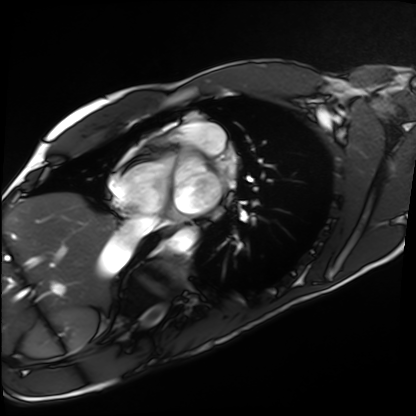
modality = cardiac MRI
subject group = healthy volunteer